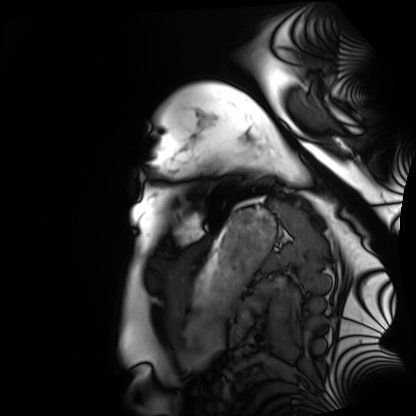
<scan>
  <modality>cardiac MRI</modality>
  <cohort>healthy volunteer</cohort>
</scan>